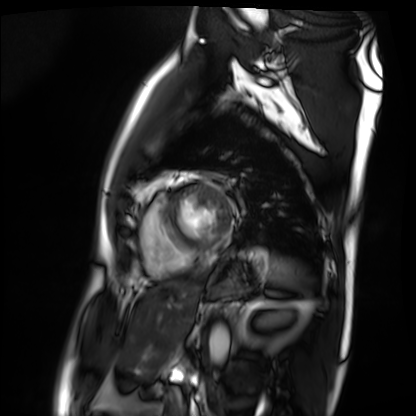
- modality: cardiac MRI
- subject group: patient